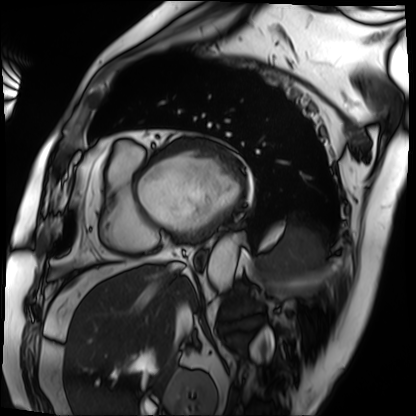
Case:
- modality · cardiac MRI
- subject group · patient